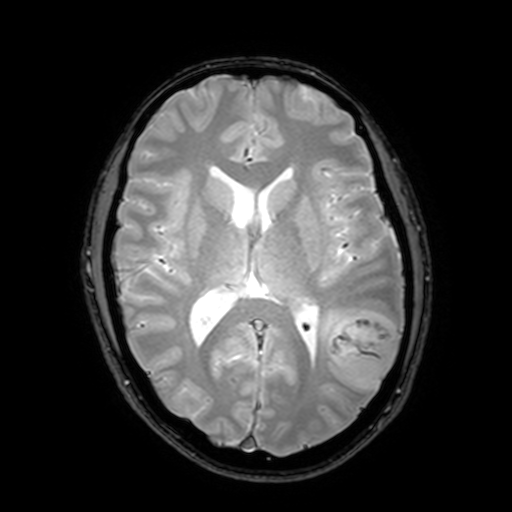
Case summary: 3 Tesla brain MRI. Series: T2-weighted fast field echo with SENSE. Study: ring-enhancing brain masses.